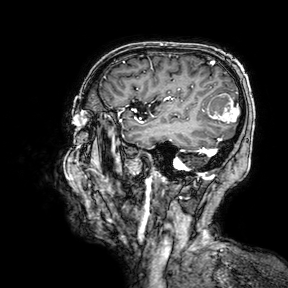
3 Tesla brain MRI. Series: 3D T1-weighted turbo field echo with SENSE. Study: ring-enhancing brain masses.